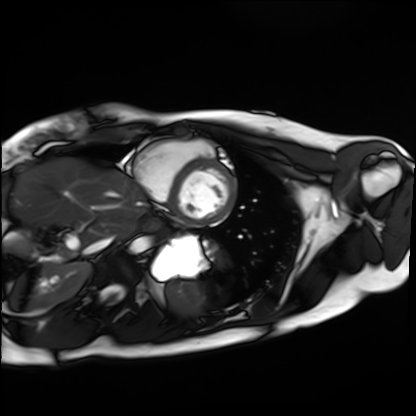
Q: What kind of scan is this?
A: Cardiac MRI.
Subject group: healthy volunteer.